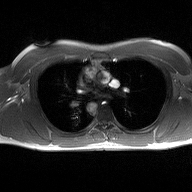
Q: What kind of scan is this?
A: 2D phase-contrast cine MRI of the ascending aorta.